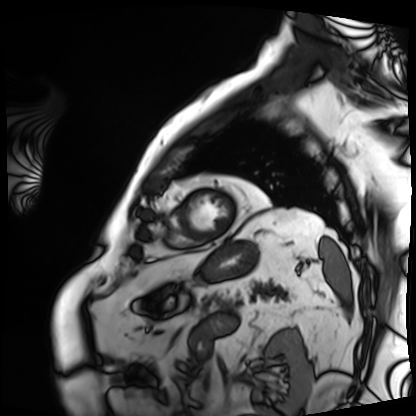
Case:
* modality — cardiac MRI
* subject group — patient